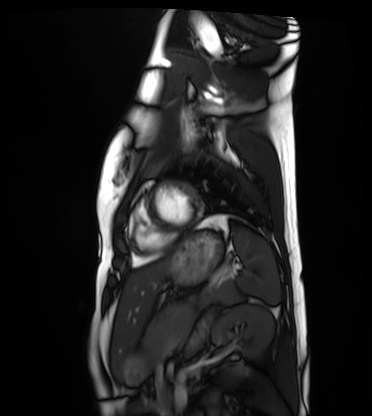
Summary: Cardiac MRI. Subject group: healthy volunteer.